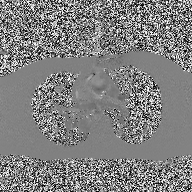
2D phase-contrast cine MRI of the ascending aorta, high-resolution GRAPPA acquisition.